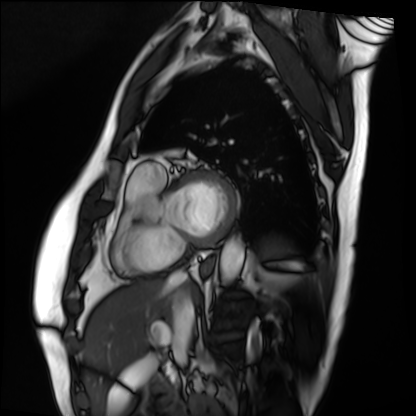
- modality: cardiac MRI
- subject group: patient